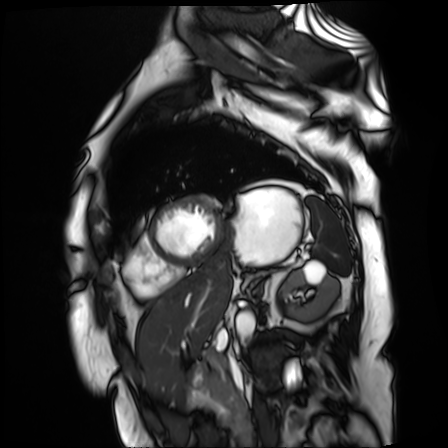
Clinical context:
Cardiac MR image of the myocardium. Subject cohort: cardiac patient.